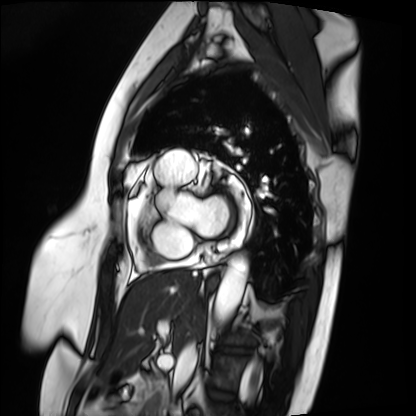
Summary: Cardiac MRI. Subject group: patient.